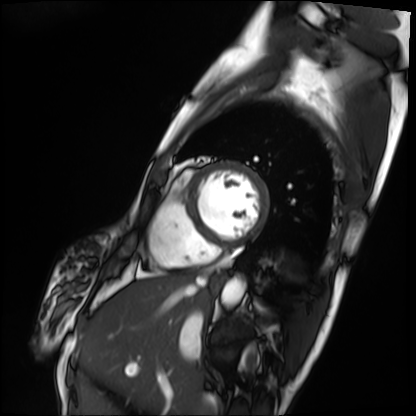
Cardiac MRI. Subject group: patient.